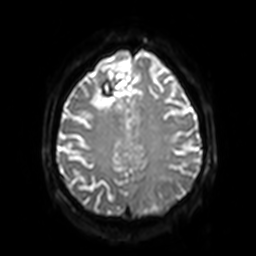
modality = 3 Tesla brain MRI
series = diffusion-weighted imaging with SENSE (WIP)
study = ring-enhancing brain masses